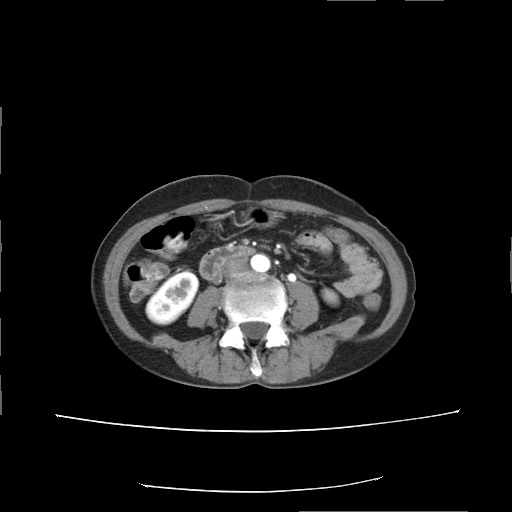
Case summary:
Multiphase abdominal CT, liver, arterial phase. Patient: female, age 53. History: prior chemotherapy.